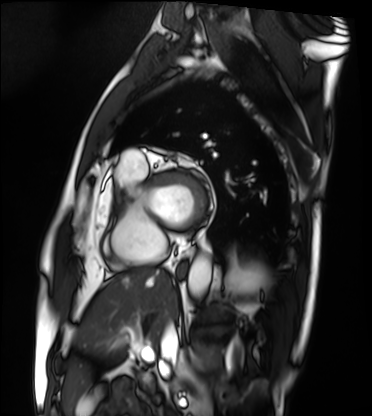
modality: cardiac MRI
subject group: patient